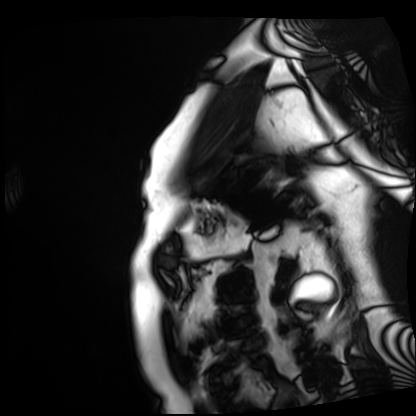
Case summary: Cardiac MRI. Subject group: patient.